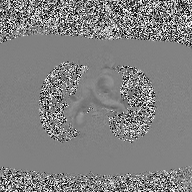
Clinical context: 2D phase-contrast cine MRI of the ascending aorta, high-resolution GRAPPA acquisition.